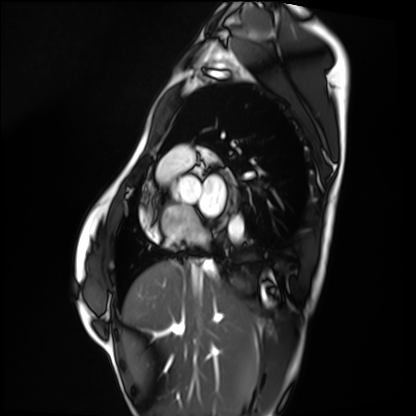
– modality: cardiac MRI
– subject group: healthy volunteer